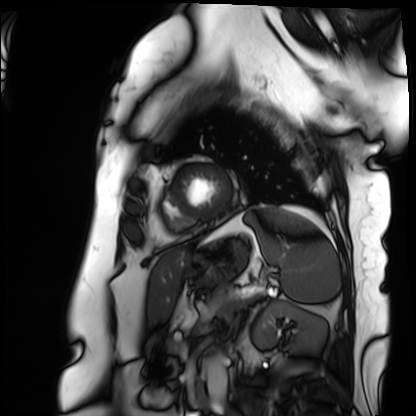
Cardiac MRI. Subject group: patient.